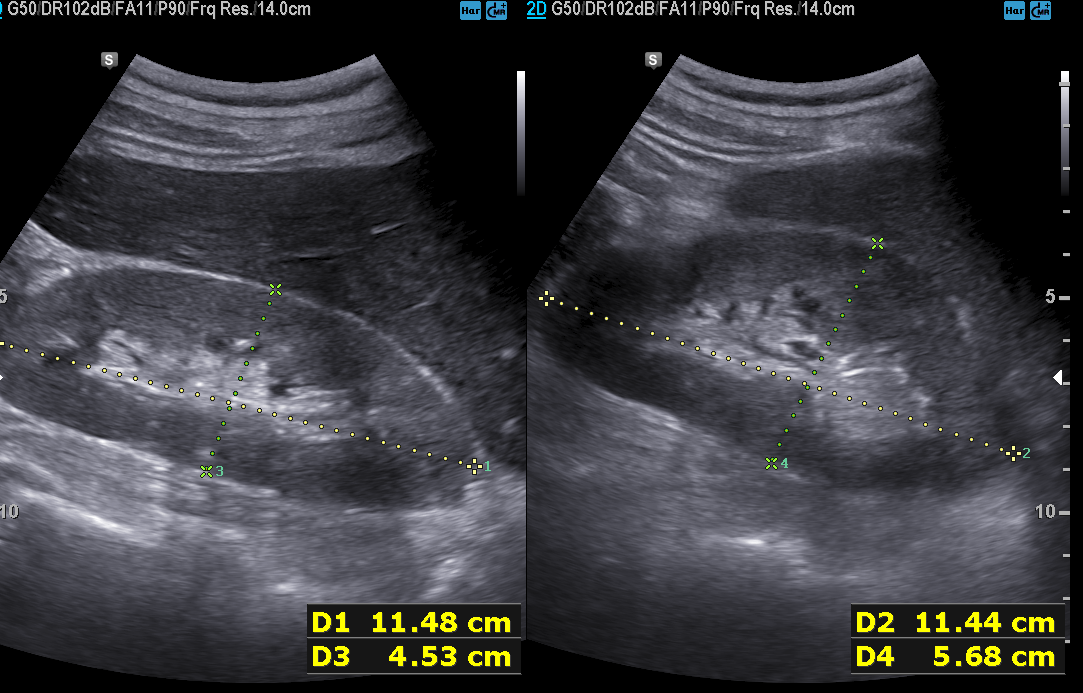
Q: What kind of scan is this?
A: Genitourinary ultrasound.